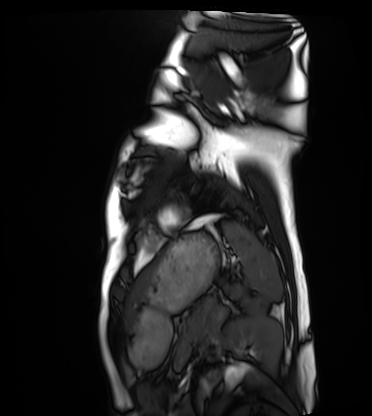
Cardiac MRI. Subject group: healthy volunteer.